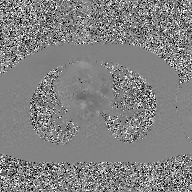
Q: What kind of scan is this?
A: 2D phase-contrast cine MRI of the ascending aorta, GAN super-resolution reconstruction.